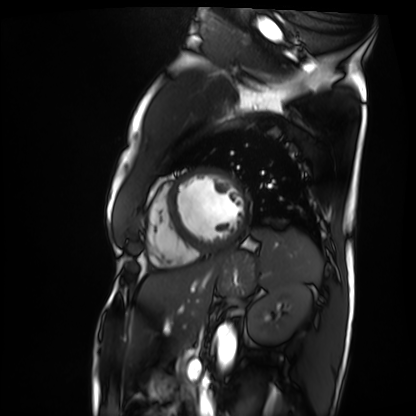
– modality — cardiac MRI
– subject group — patient